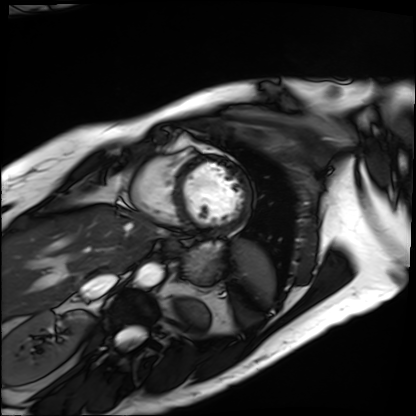
Cardiac MRI. Subject group: patient.